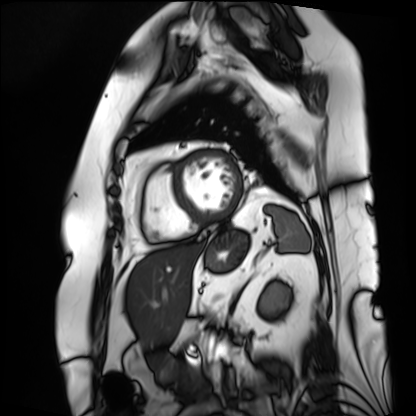
modality = cardiac MRI | subject group = patient.